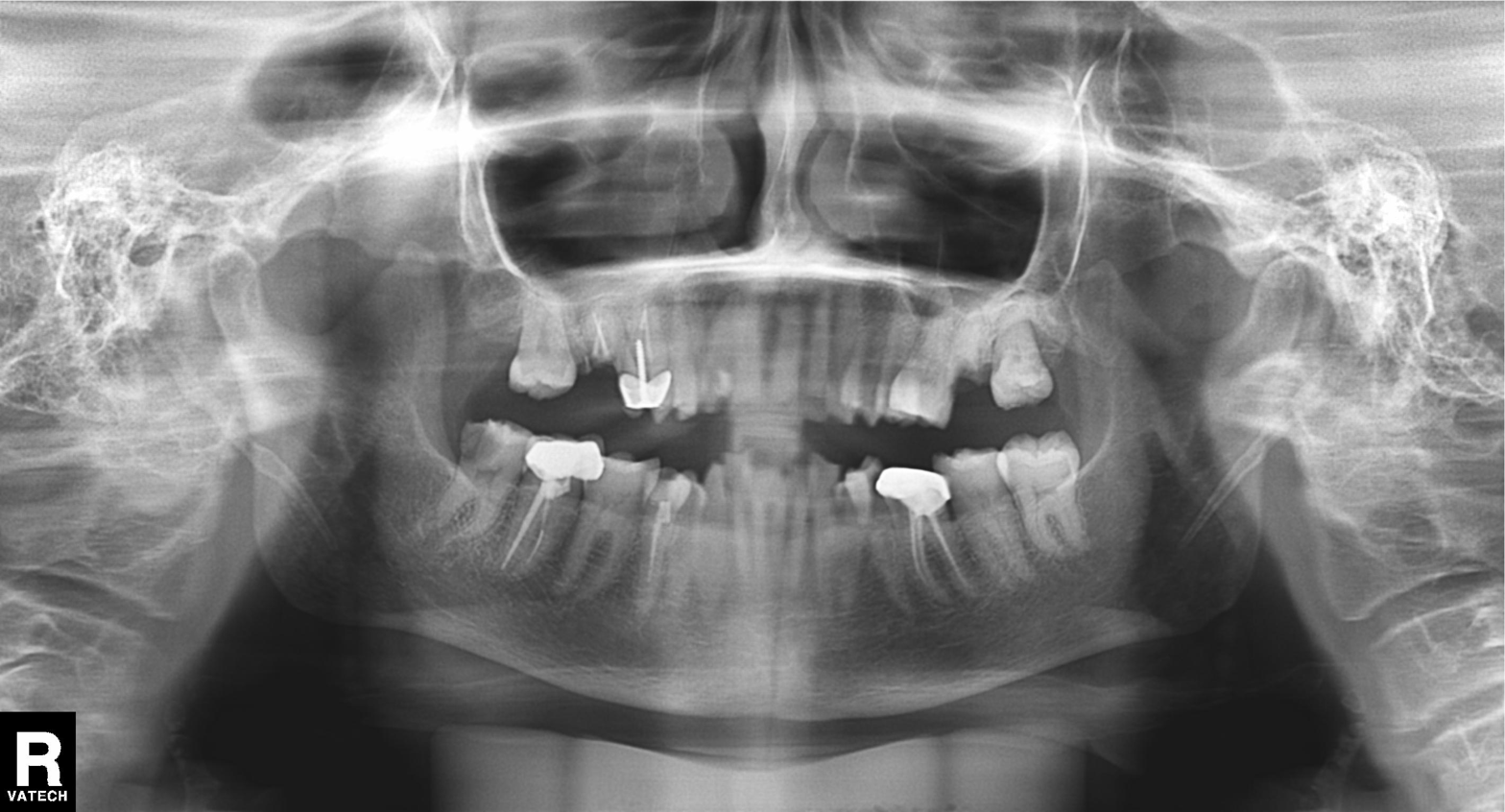
modality = panoramic dental radiograph (orthopantomogram), finding = dental caries (cavities).